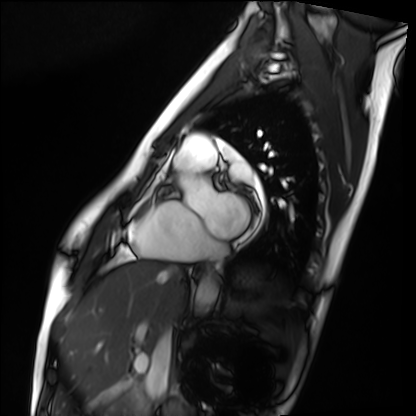
<case>
  <modality>cardiac MRI</modality>
  <cohort>healthy volunteer</cohort>
</case>